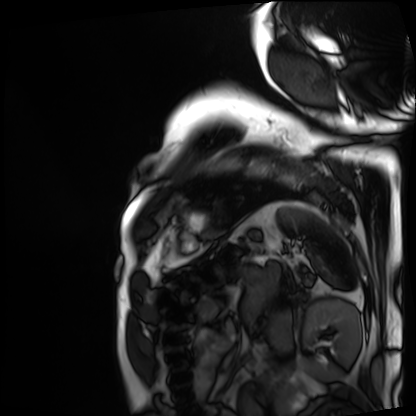
Cardiac MRI.
Subject group: patient.